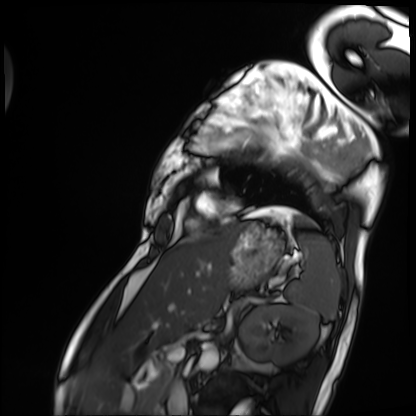
Cardiac MRI. Subject group: patient.